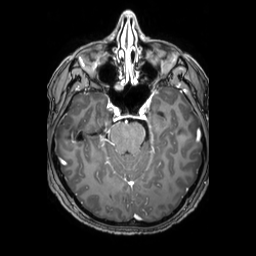
– modality — 3 Tesla brain MRI
– series — 3D T1-weighted TFE with SENSE
– study — ring-enhancing brain masses